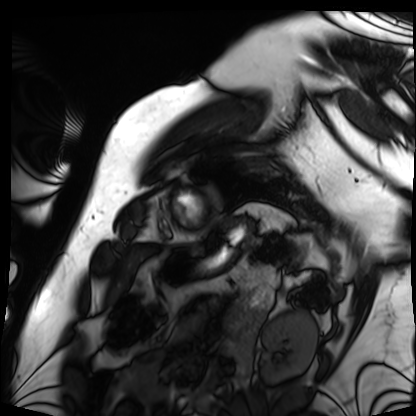
Case summary: Cardiac MRI. Subject group: patient.